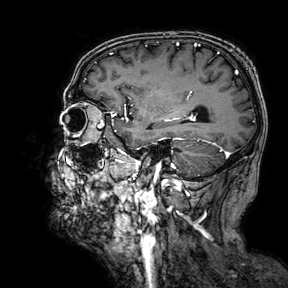
* modality — 3 Tesla brain MRI
* series — 3D T1-weighted turbo field echo with SENSE
* study — ring-enhancing brain masses